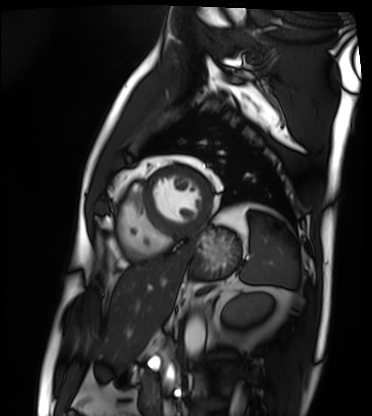
Cardiac MRI.
Subject group: patient.